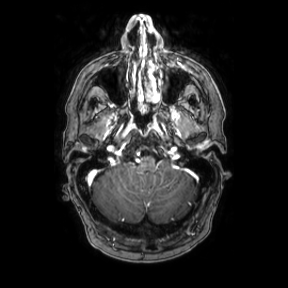
3 Tesla brain MRI. Series: axial. Study: ring-enhancing brain masses.